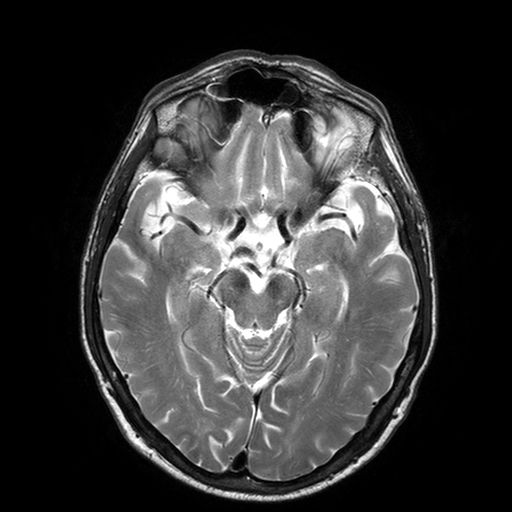
3 Tesla brain MRI. Series: T2-weighted turbo spin echo with SENSE. Study: ring-enhancing brain masses.